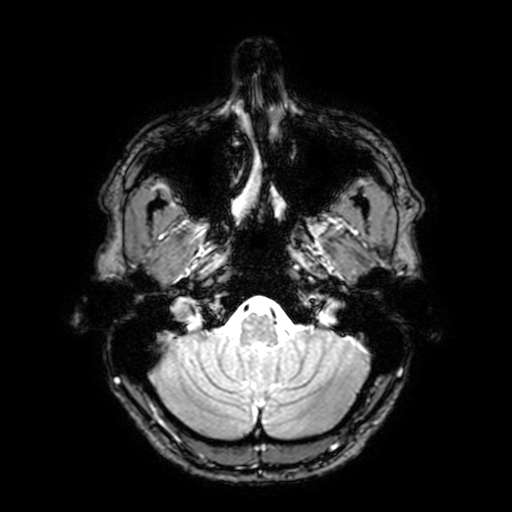
modality — 3 Tesla brain MRI | series — T2-weighted fast field echo with SENSE | study — ring-enhancing brain masses.